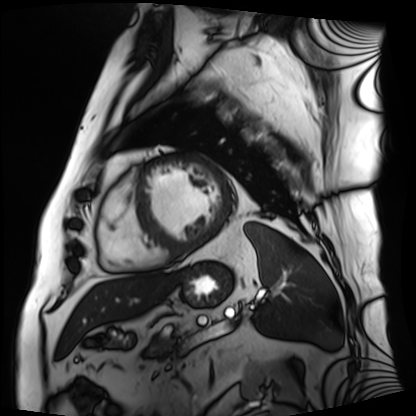
Cardiac MRI.
Subject group: patient.